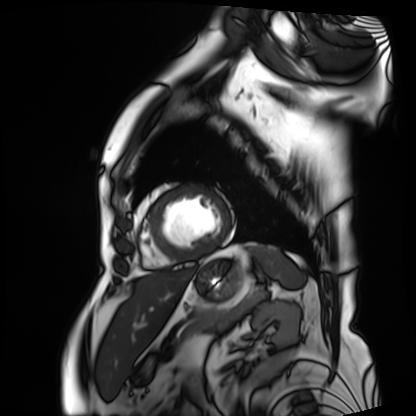
Cardiac MRI.
Subject group: patient.